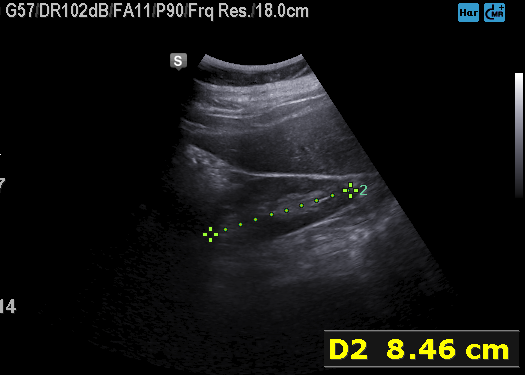
Case summary:
Genitourinary ultrasound.